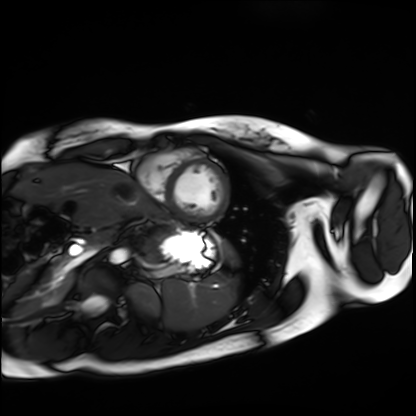
| field | value |
|---|---|
| modality | cardiac MRI |
| subject group | healthy volunteer |